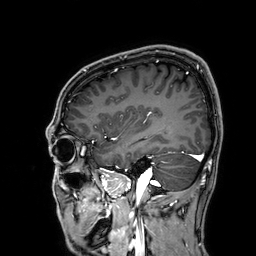
modality: 3 Tesla brain MRI
series: 3D T1-weighted
study: ring-enhancing brain masses